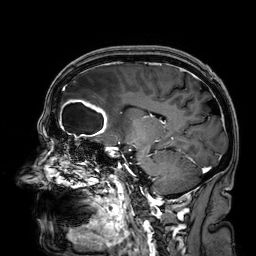
3 Tesla brain MRI. Series: 3D T1-weighted. Study: ring-enhancing brain masses.